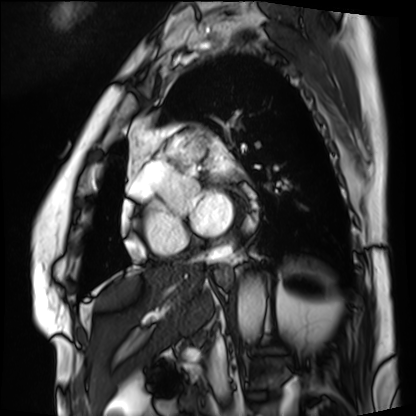
modality=cardiac MRI; subject group=patient.